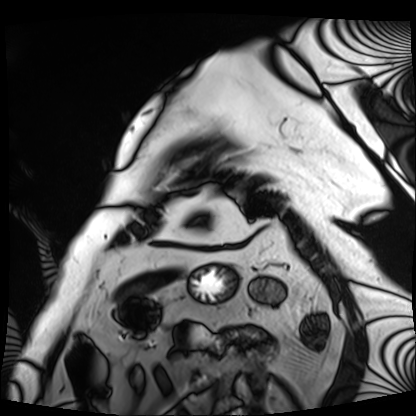
Cardiac MRI. Subject group: patient.